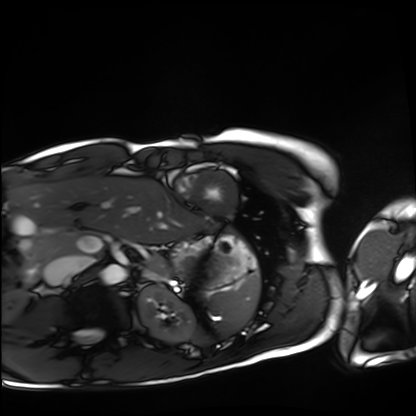
Cardiac MRI. Subject group: healthy volunteer.